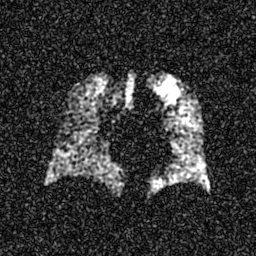
modality: hyperpolarized 129Xe ventilation MRI of the lungs
snr_level: 6 of 8 (the deposit holds this scan as its native image and as seven SNR-degraded versions)